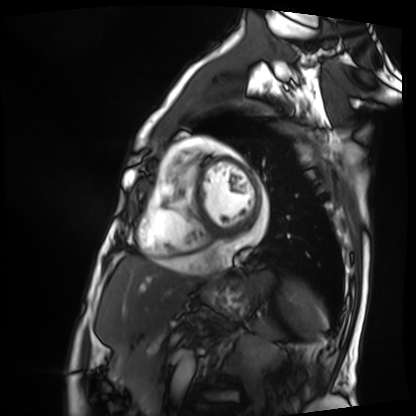
– modality · cardiac MRI
– subject group · patient